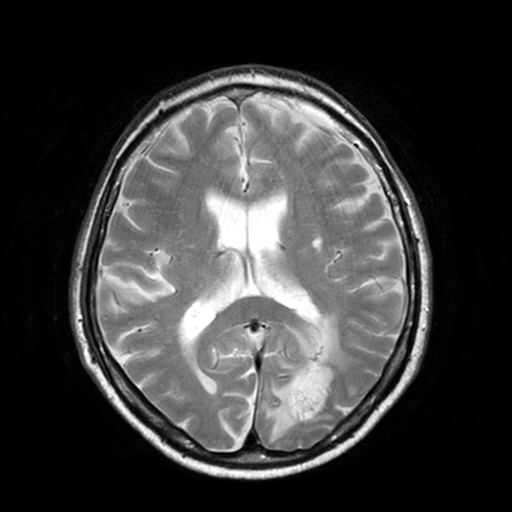
| field | value |
|---|---|
| modality | 3 Tesla brain MRI |
| series | T2-weighted turbo spin echo, 3 mm |
| study | ring-enhancing brain masses |